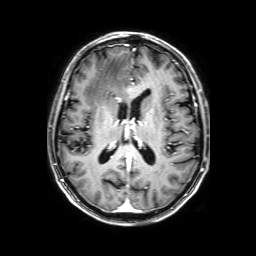
3 Tesla brain MRI.
Series: 3D T1-weighted with SENSE.
Study: ring-enhancing brain masses.